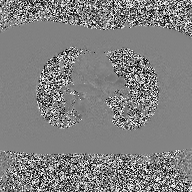
<study>
  <modality>
    <type>2D phase-contrast cine MRI</type>
    <region>ascending aorta</region>
    <reconstruction>high-resolution GRAPPA acquisition</reconstruction>
  </modality>
</study>